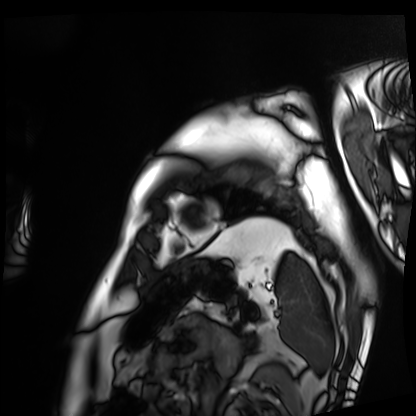
Cardiac MRI. Subject group: patient.